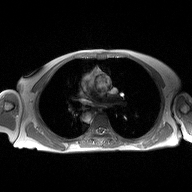
– modality: 2D phase-contrast cine MRI of the ascending aorta